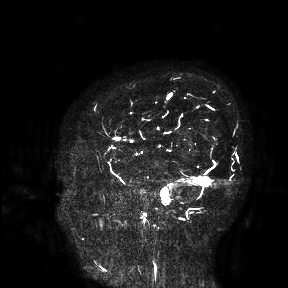
Clinical context:
3 Tesla brain MRI. Study: ring-enhancing brain masses.